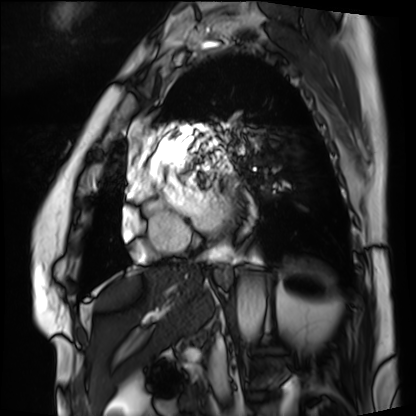
Summary:
Cardiac MRI. Subject group: patient.